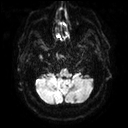
modality:
  type: brain MRI
  field_strength: 3T
series: diffusion tensor imaging (medium iso)
study_topic: ring-enhancing brain masses